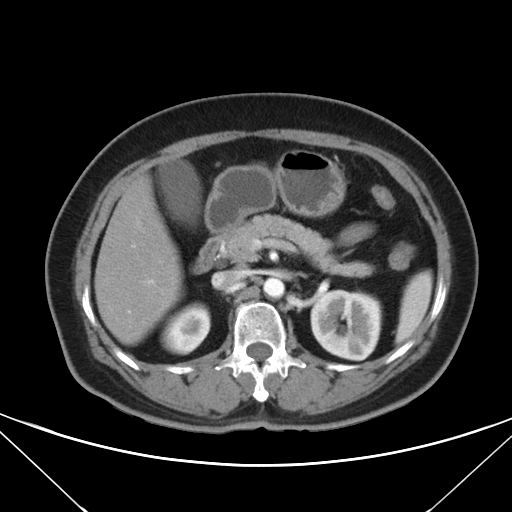
modality=multiphase abdominal CT, liver, arterial phase; patient=female, age 60; history=prior chemotherapy.